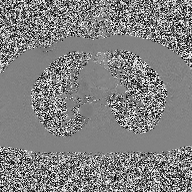
{
  "modality": {
    "type": "2D phase-contrast cine MRI",
    "region": "ascending aorta",
    "reconstruction": "high-resolution GRAPPA acquisition"
  }
}